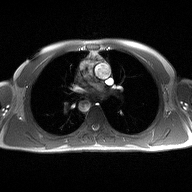
Summary: 2D phase-contrast cine MRI of the ascending aorta, high-resolution GRAPPA acquisition.